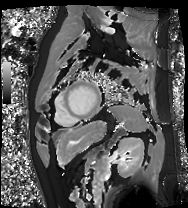
Summary: Cardiac MRI. Subject group: patient.